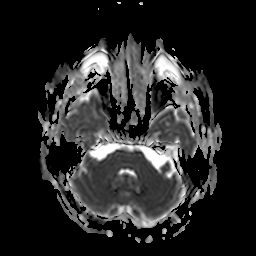
Q: What kind of scan is this?
A: 3 Tesla brain MRI.
Q: Series?
A: Apparent diffusion coefficient (ADC) map.
Study: ring-enhancing brain masses.